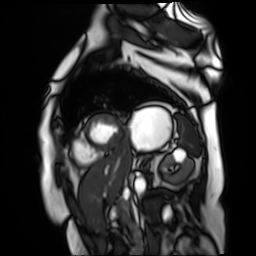
| field | value |
|---|---|
| modality | cardiac MR image of the myocardium |
| subject cohort | cardiac patient |